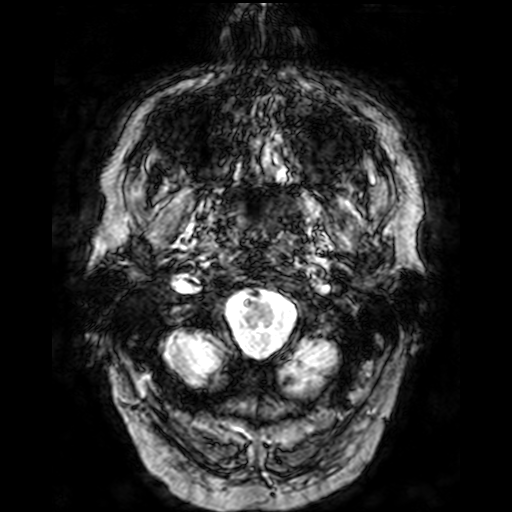
modality: 3 Tesla brain MRI; series: T2-weighted fast field echo; study: ring-enhancing brain masses.